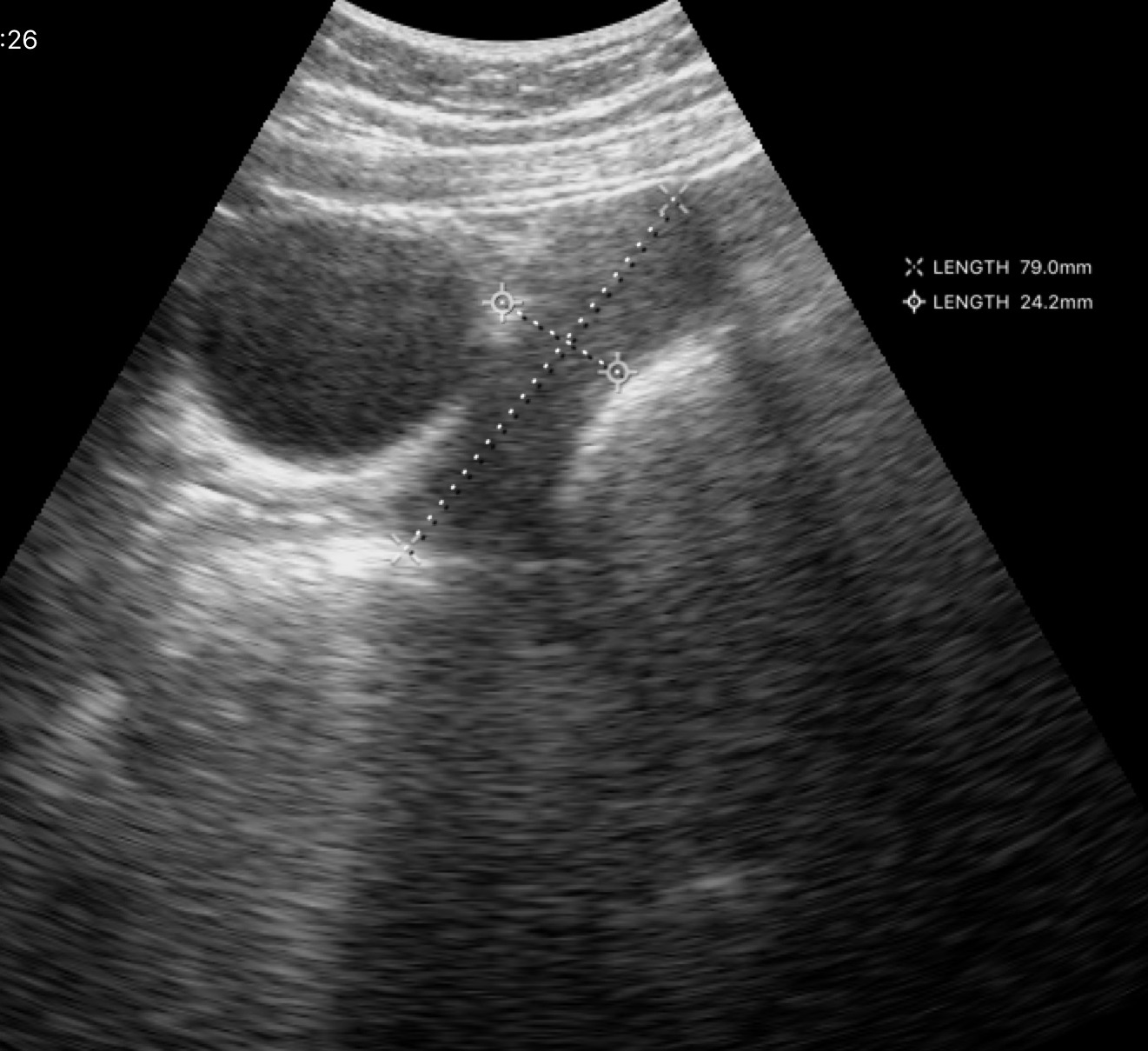
  modality:
    type: genitourinary ultrasound